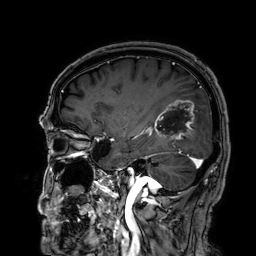
{
  "modality": {
    "type": "brain MRI",
    "field_strength": "3T"
  },
  "series": "3D T1-weighted",
  "study_topic": "ring-enhancing brain masses"
}